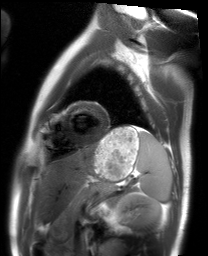
  modality: cardiac MRI
  cohort: healthy volunteer